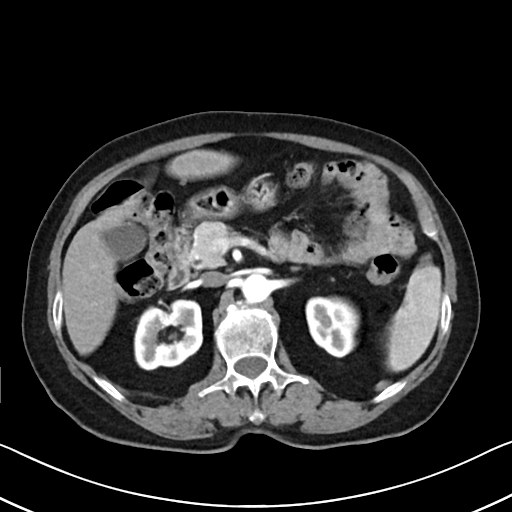
Multiphase abdominal CT, liver, arterial phase. Patient: female, age 71. History: cirrhosis, viral hepatitis.